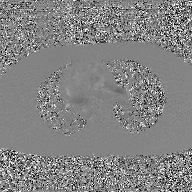
{"modality": {"type": "2D phase-contrast cine MRI", "region": "ascending aorta", "reconstruction": "GAN super-resolution reconstruction"}}